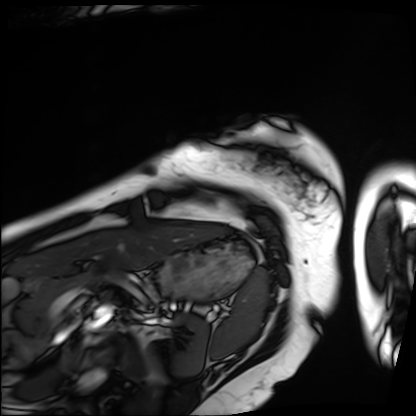
| field | value |
|---|---|
| modality | cardiac MRI |
| subject group | patient |